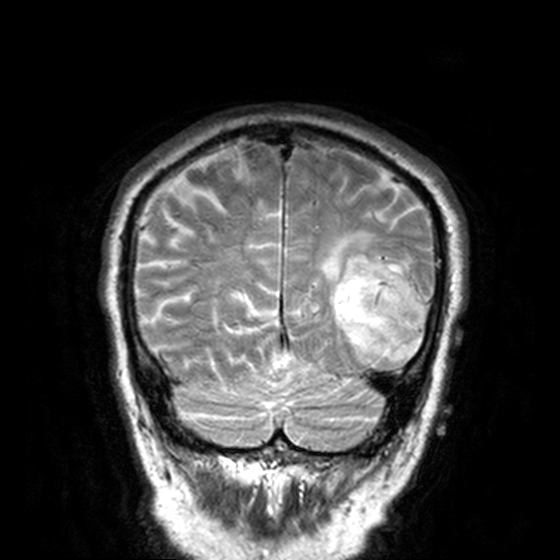
Clinical context:
3 Tesla brain MRI. Study: ring-enhancing brain masses.